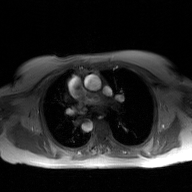
Summary:
2D phase-contrast cine MRI of the ascending aorta, GAN super-resolution reconstruction.